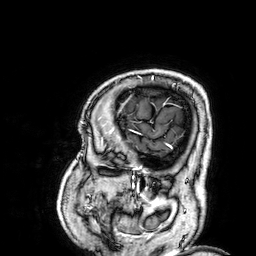
modality: 3 Tesla brain MRI | series: 3D T1-weighted | study: ring-enhancing brain masses.